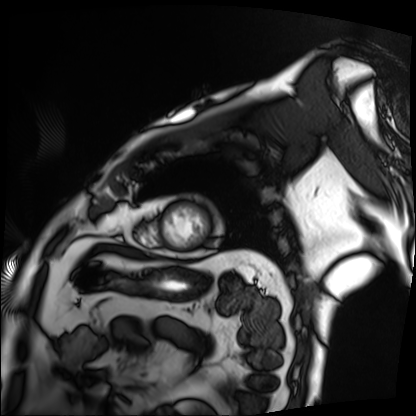
<record>
<modality>cardiac MRI</modality>
<cohort>patient</cohort>
</record>